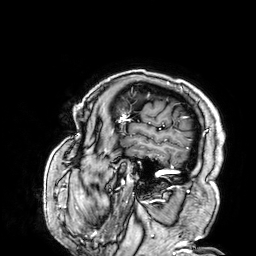
Q: What kind of scan is this?
A: 3 Tesla brain MRI.
Q: Series?
A: 3D T1-weighted.
Study: ring-enhancing brain masses.